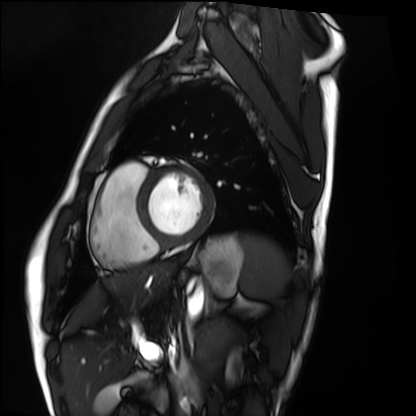
{"modality": "cardiac MRI", "cohort": "healthy volunteer"}